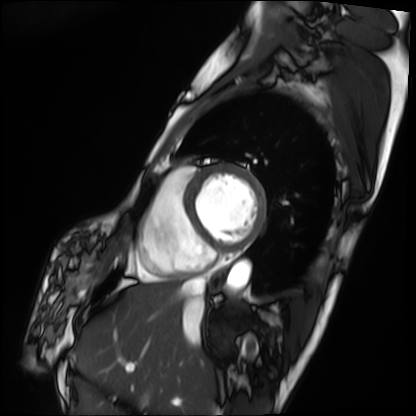
Case:
• modality · cardiac MRI
• subject group · patient